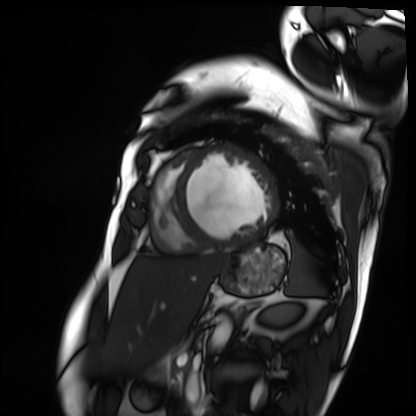
Cardiac MRI. Subject group: patient.